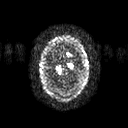
Summary:
3 Tesla brain MRI. Series: diffusion tensor imaging (medium iso). Study: ring-enhancing brain masses.